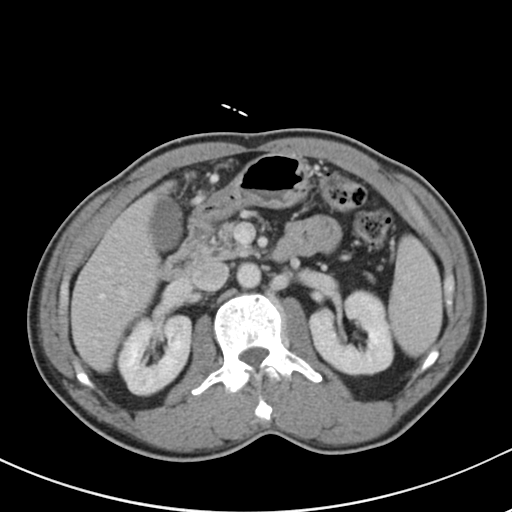
Clinical context:
Multiphase abdominal CT, liver, portal venous phase. Patient: male, age 52.